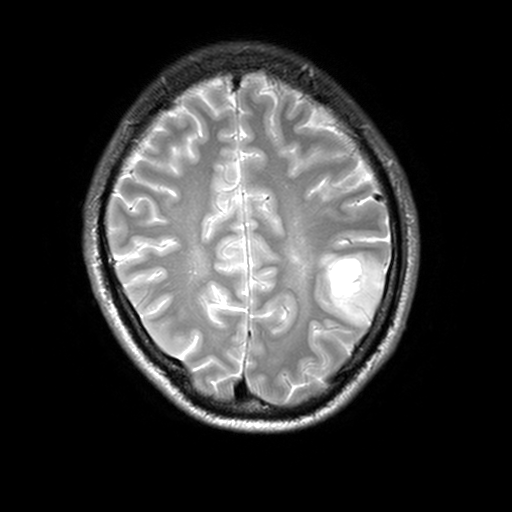
* modality · 3 Tesla brain MRI
* series · T2-weighted turbo spin echo, 3 mm
* study · ring-enhancing brain masses